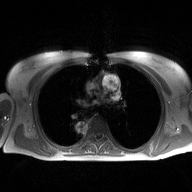
| field | value |
|---|---|
| modality | 2D phase-contrast cine MRI of the ascending aorta |